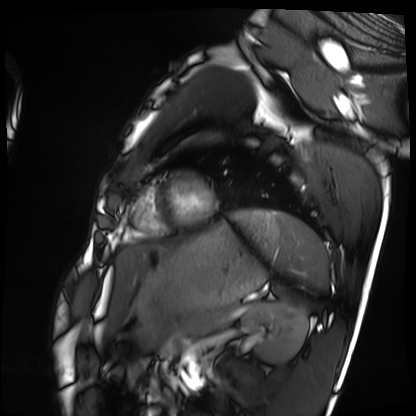
modality = cardiac MRI
subject group = healthy volunteer